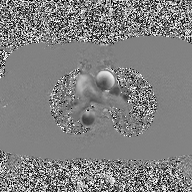
modality=2D phase-contrast cine MRI of the ascending aorta.